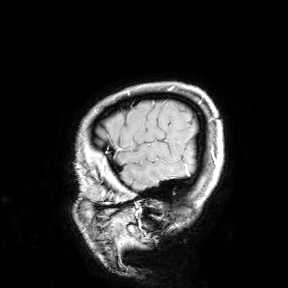
– modality: 3 Tesla brain MRI
– study: ring-enhancing brain masses